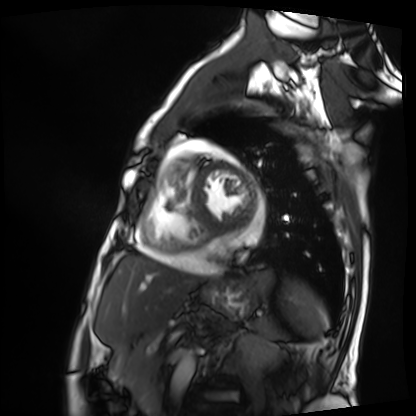
  modality: cardiac MRI
  cohort: patient